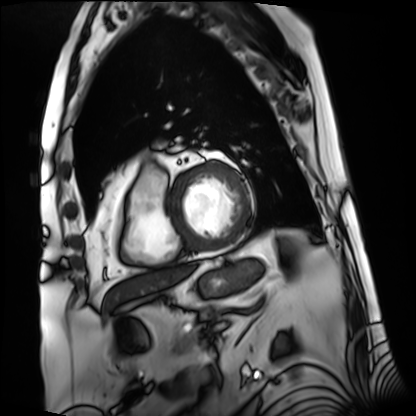
Case summary: Cardiac MRI. Subject group: patient.